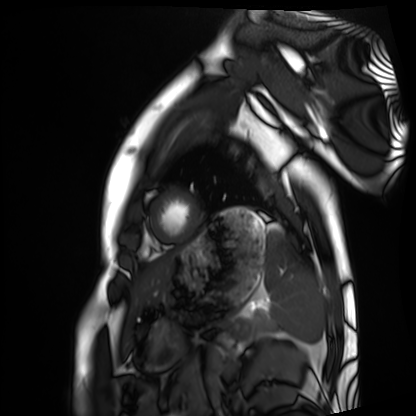
{
  "modality": "cardiac MRI",
  "cohort": "healthy volunteer"
}